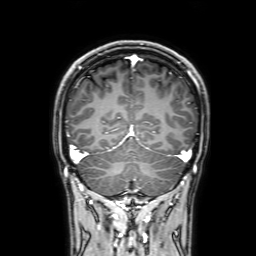
* modality — 3 Tesla brain MRI
* study — ring-enhancing brain masses